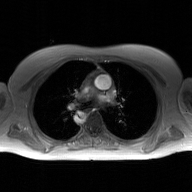
2D phase-contrast cine MRI of the ascending aorta, GAN super-resolution reconstruction.